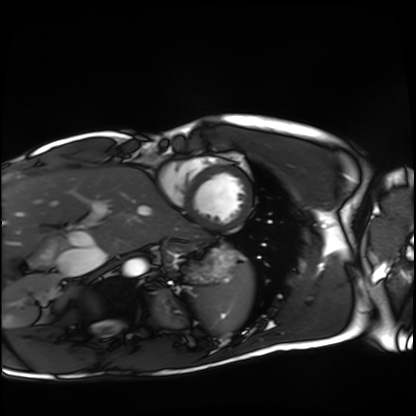
modality: cardiac MRI
cohort: healthy volunteer